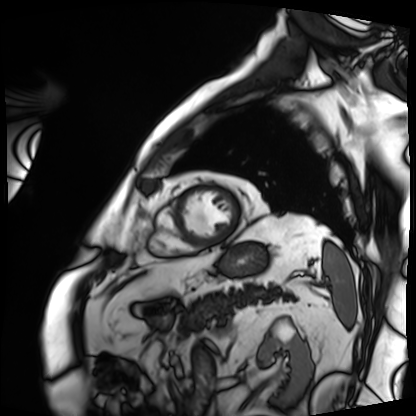
Cardiac MRI.
Subject group: patient.